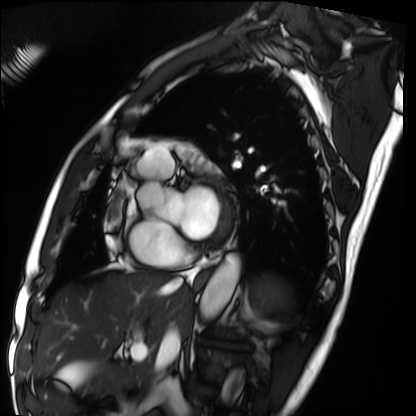
<case>
<modality>cardiac MRI</modality>
<cohort>patient</cohort>
</case>